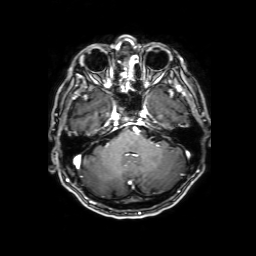
modality = 3 Tesla brain MRI; series = 3D T1-weighted with SENSE; study = ring-enhancing brain masses.